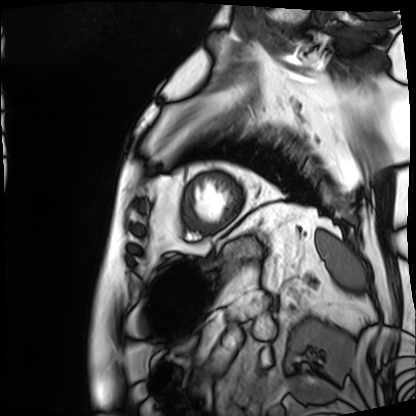
Cardiac MRI. Subject group: patient.